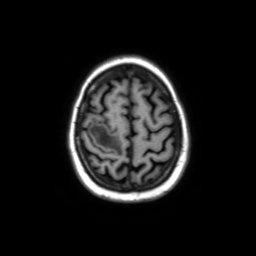
• modality — 3 Tesla brain MRI
• study — ring-enhancing brain masses